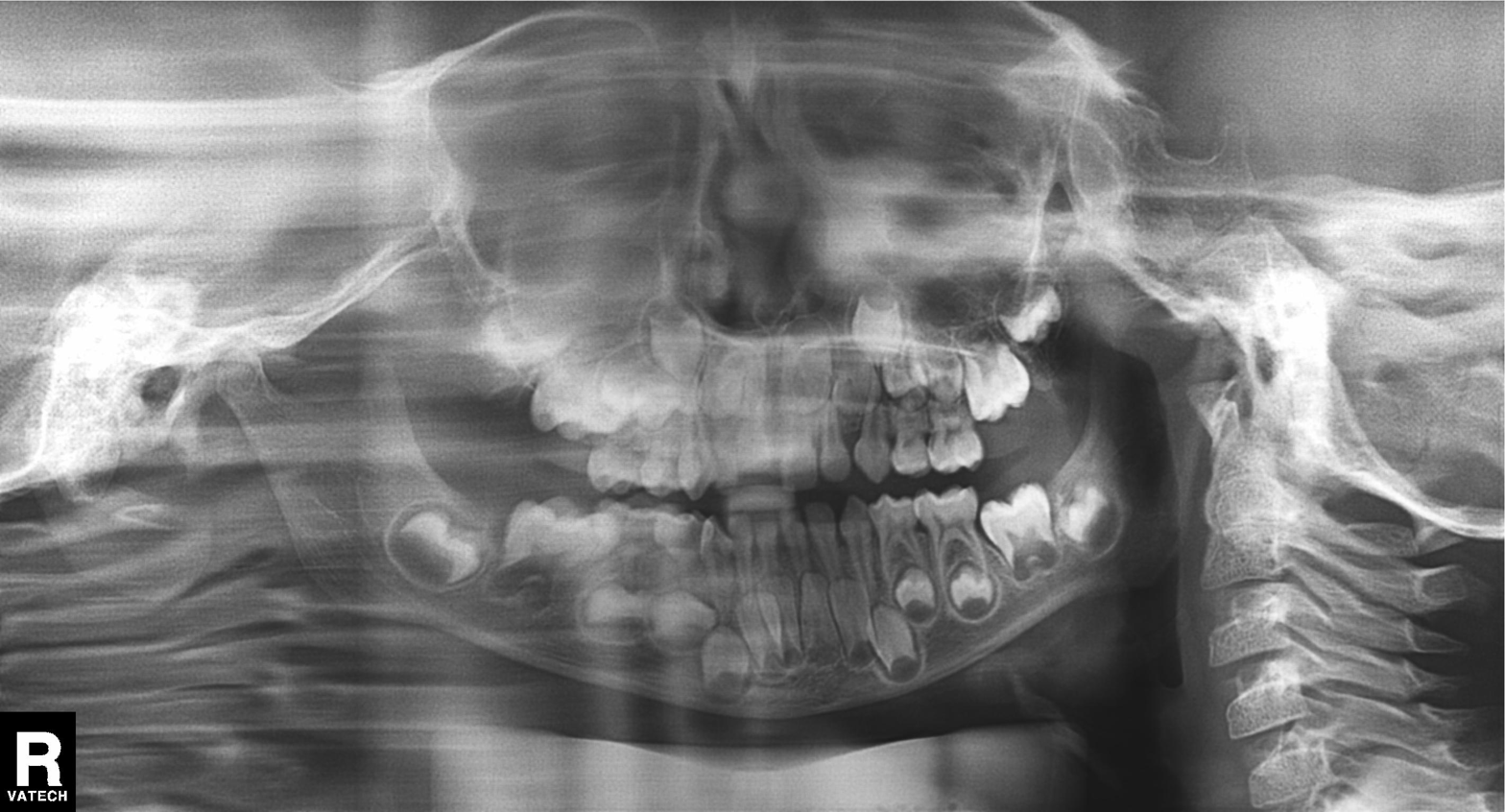
modality — panoramic dental radiograph (orthopantomogram)
finding — alveolar bone loss